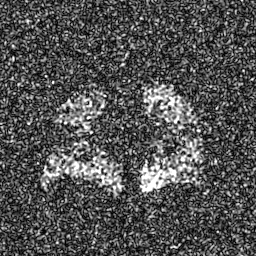
modality = hyperpolarized 129Xe ventilation MRI of the lungs, SNR level = 8 of 8 (the deposit holds this scan as its native image and as seven SNR-degraded versions).